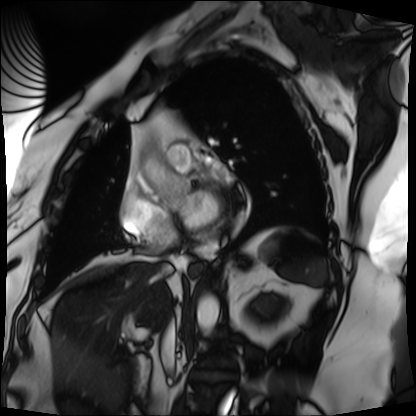
Summary:
Cardiac MRI. Subject group: patient.